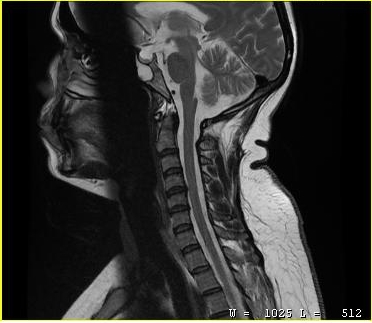
Clinical context: MRI of the cervical spine. Study: cervical spondylosis.